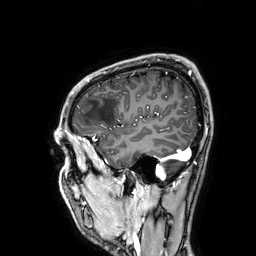
3 Tesla brain MRI. Series: 3D T1-weighted. Study: ring-enhancing brain masses.